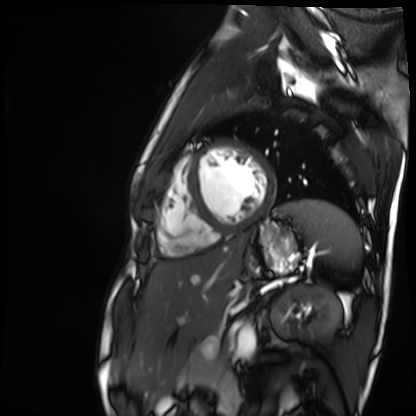
Summary: Cardiac MR image of the myocardium. Subject cohort: healthy volunteer.